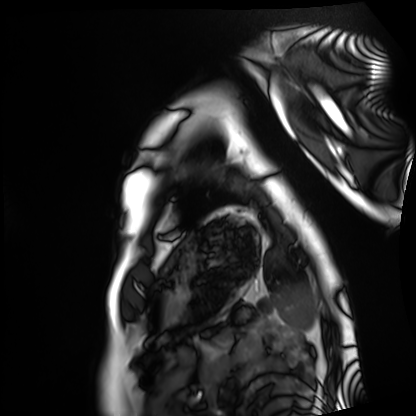
Cardiac MRI.
Subject group: healthy volunteer.